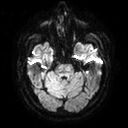
- modality · 3 Tesla brain MRI
- series · diffusion tensor imaging (medium iso)
- study · ring-enhancing brain masses